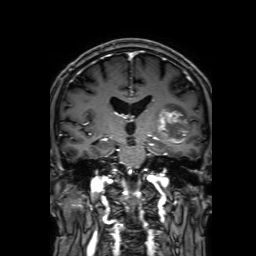
Summary:
3 Tesla brain MRI. Series: 3D T1-weighted with SENSE. Study: ring-enhancing brain masses.